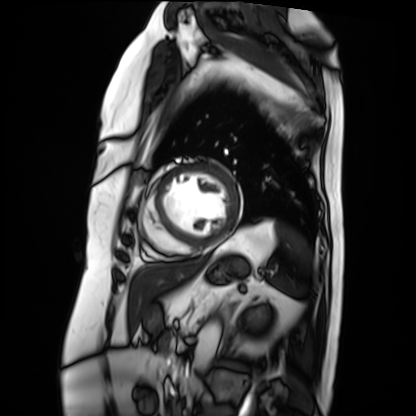
• modality · cardiac MRI
• subject group · patient